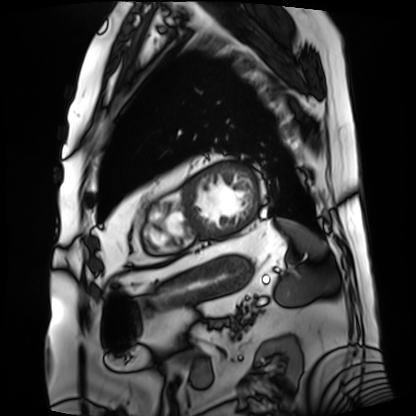
Cardiac MRI. Subject group: patient.